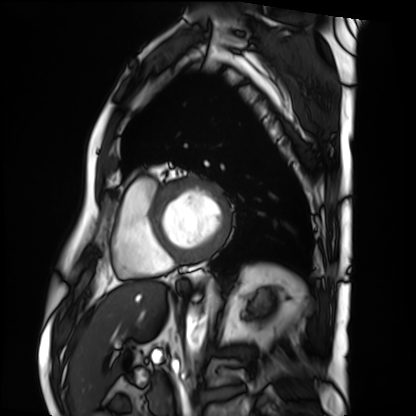
{
  "modality": "cardiac MRI",
  "cohort": "patient"
}